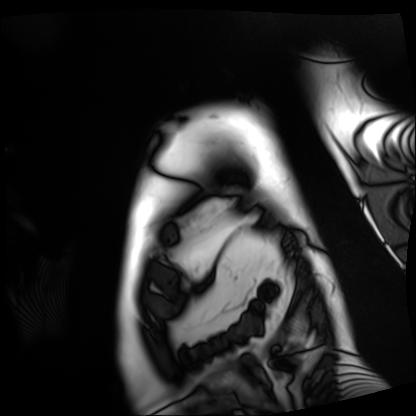
Cardiac MRI. Subject group: patient.